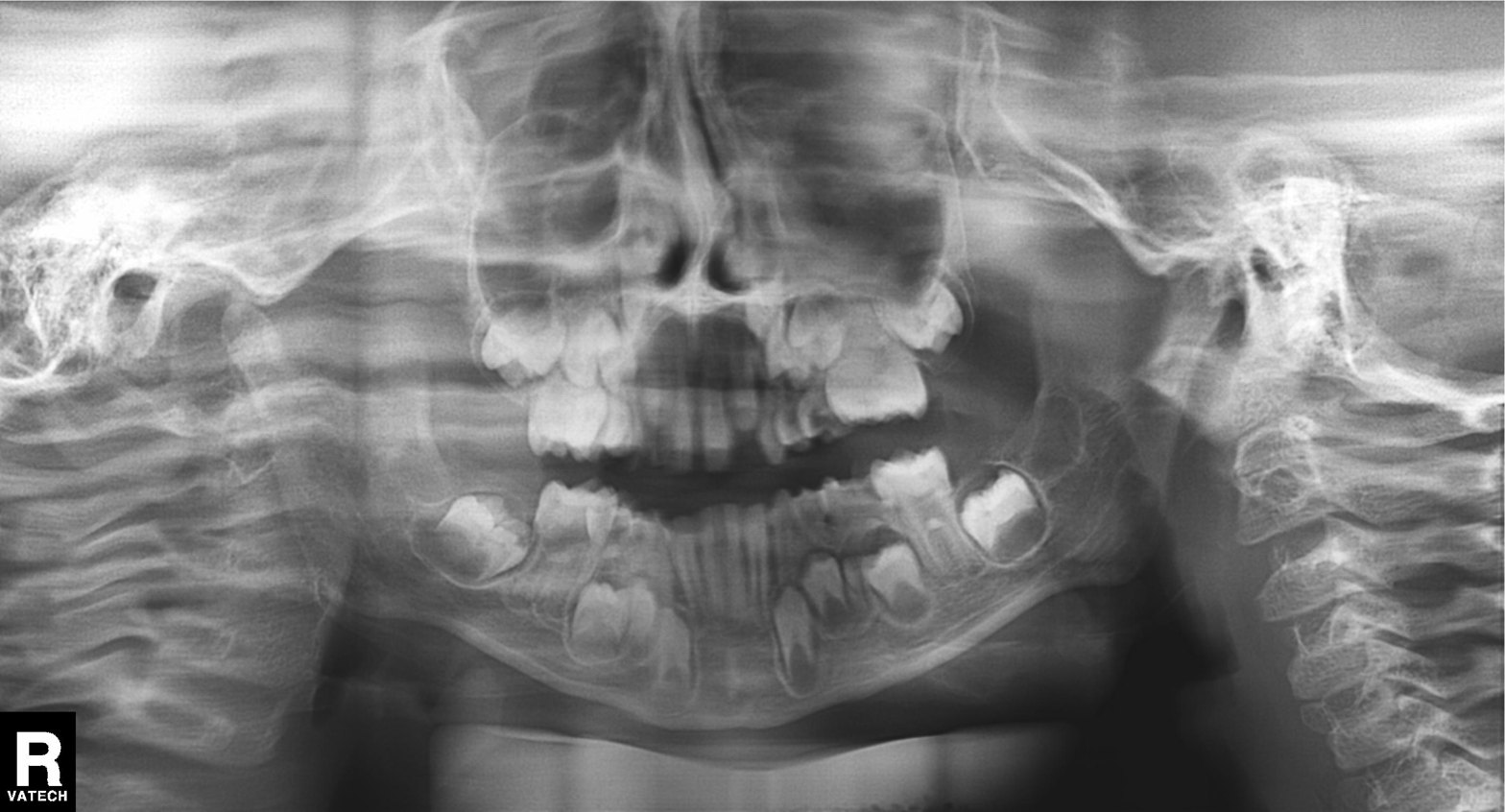
modality = panoramic dental radiograph (orthopantomogram) | finding = tooth impaction.